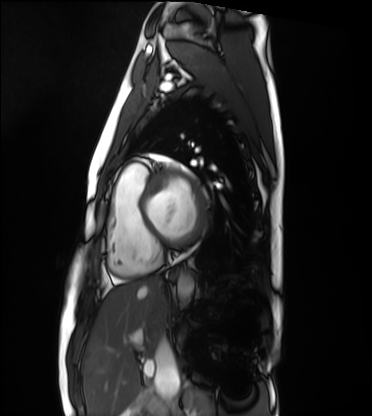
<case>
<modality>cardiac MRI</modality>
<cohort>healthy volunteer</cohort>
</case>